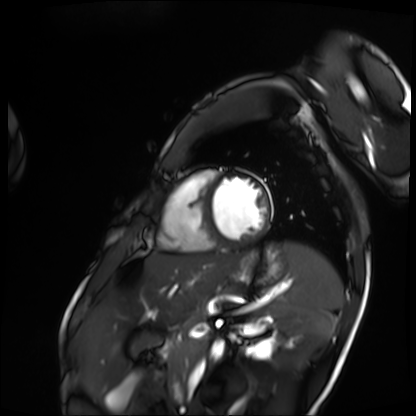
Cardiac MRI. Subject group: patient.